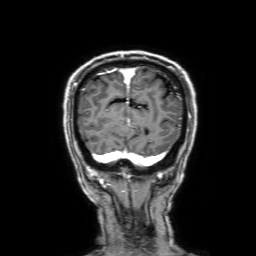
modality = 3 Tesla brain MRI
series = 3D T1-weighted with SENSE
study = ring-enhancing brain masses